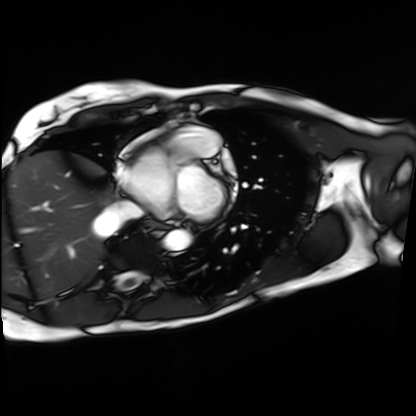
{
  "modality": "cardiac MRI",
  "cohort": "patient"
}